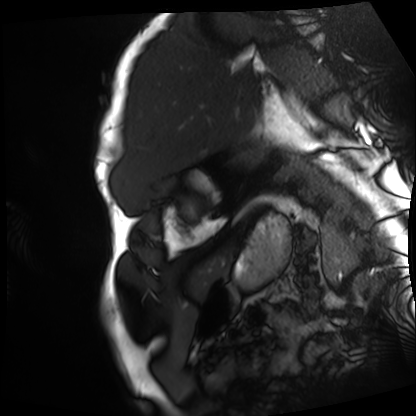
<scan>
  <modality>cardiac MRI</modality>
  <cohort>patient</cohort>
</scan>